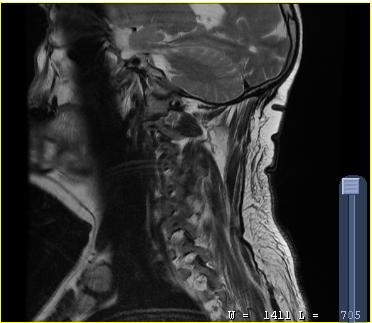
Q: What kind of scan is this?
A: MRI of the cervical spine.
Study: cervical spondylosis.